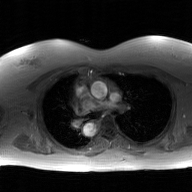
Q: What kind of scan is this?
A: 2D phase-contrast cine MRI of the ascending aorta, GAN super-resolution reconstruction.